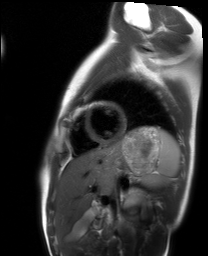
Cardiac MRI. Subject group: healthy volunteer.